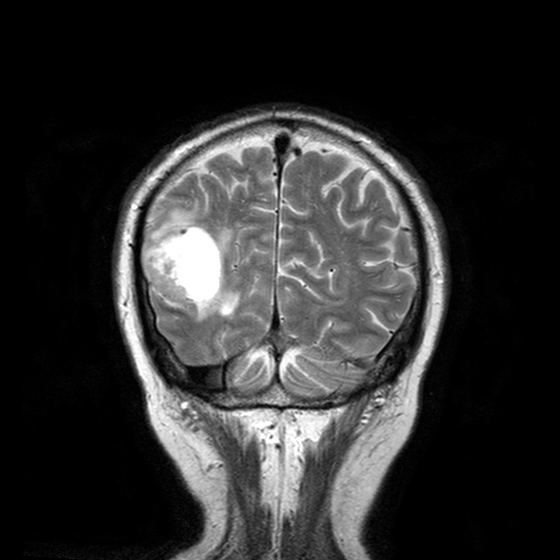
3 Tesla brain MRI.
Series: T2-weighted turbo spin echo with CLEAR.
Study: ring-enhancing brain masses.